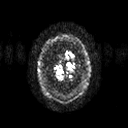
Case summary:
3 Tesla brain MRI. Series: diffusion tensor imaging (medium iso). Study: ring-enhancing brain masses.